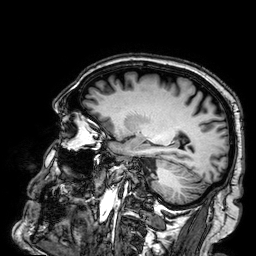
{
  "modality": {
    "type": "brain MRI",
    "field_strength": "3T"
  },
  "series": "3D T1-weighted",
  "study_topic": "ring-enhancing brain masses"
}